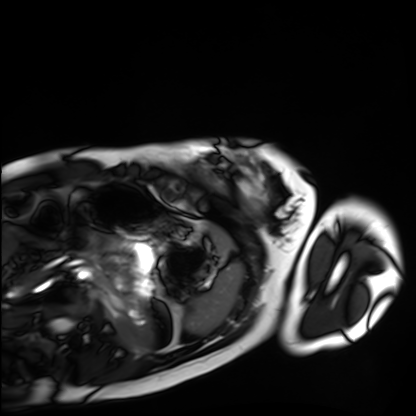
Case summary: Cardiac MRI. Subject group: healthy volunteer.